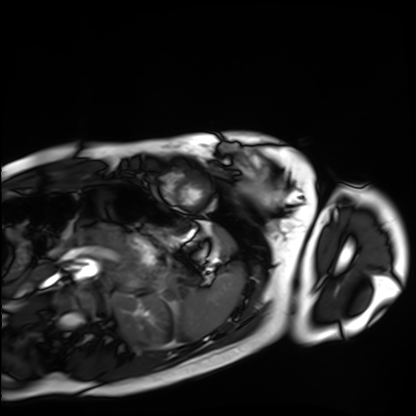
<scan>
  <modality>cardiac MRI</modality>
  <cohort>healthy volunteer</cohort>
</scan>